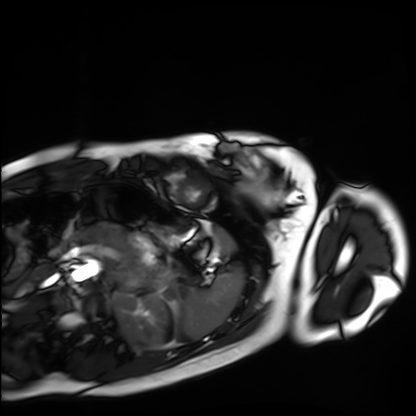
  modality: cardiac MRI
  cohort: healthy volunteer